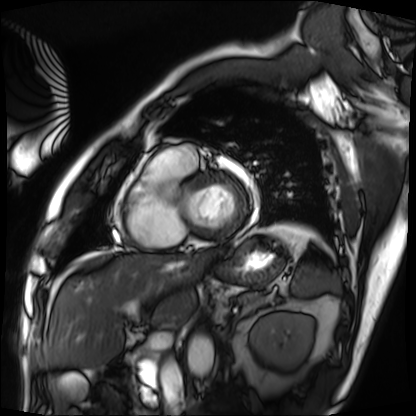
modality: cardiac MRI
subject group: patient